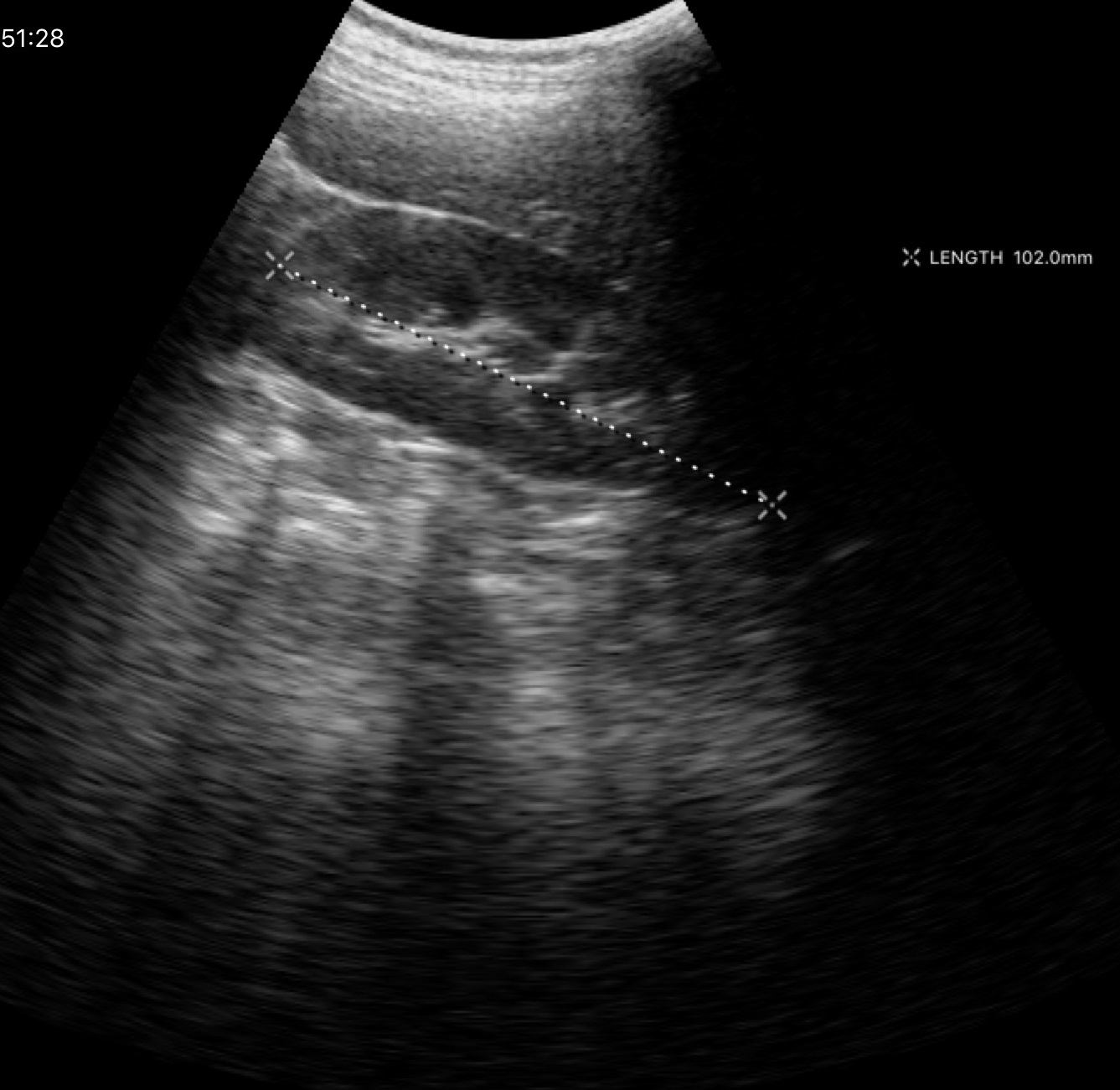
{"modality": {"type": "genitourinary ultrasound"}}